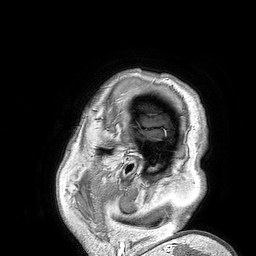
Summary:
3 Tesla brain MRI. Series: 3D T1-weighted turbo field echo. Study: ring-enhancing brain masses.